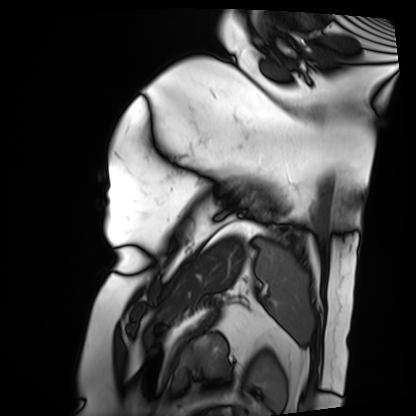
Summary:
Cardiac MRI. Subject group: patient.